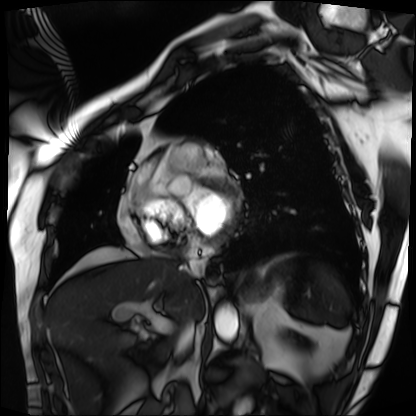
Cardiac MRI.
Subject group: patient.